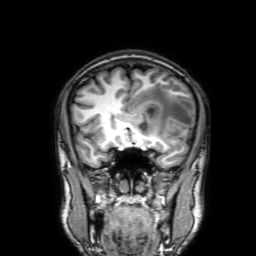
{"modality": {"type": "brain MRI", "field_strength": "3T"}, "series": "3D T1-weighted with SENSE", "study_topic": "ring-enhancing brain masses"}